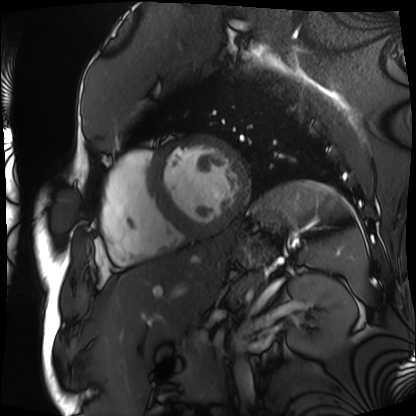
modality — cardiac MRI; subject group — patient.